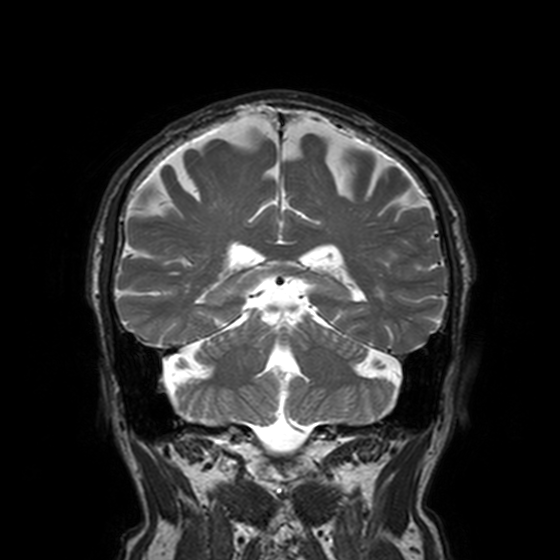
Q: What kind of scan is this?
A: 3 Tesla brain MRI.
Q: Series?
A: T2-weighted turbo spin echo, 3 mm.
Study: ring-enhancing brain masses.